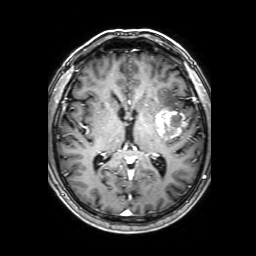
<record>
  <modality>
    <type>brain MRI</type>
    <field_strength>3T</field_strength>
  </modality>
  <series>3D T1-weighted with SENSE</series>
  <study_topic>ring-enhancing brain masses</study_topic>
</record>